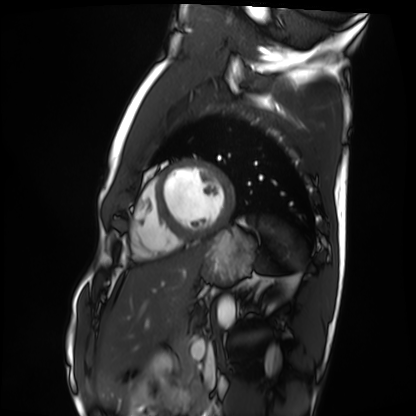
Cardiac MRI.
Subject group: healthy volunteer.